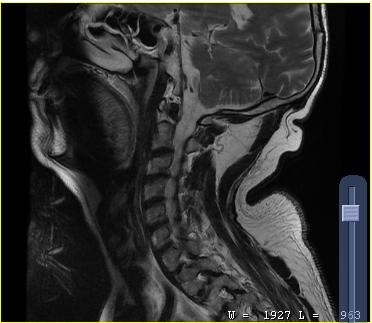
modality=MRI of the cervical spine; study=cervical spondylosis.